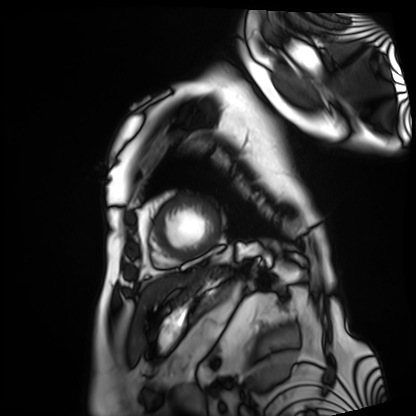
– modality — cardiac MRI
– subject group — patient